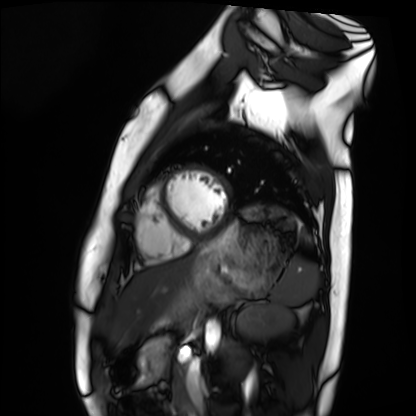
modality: cardiac MRI; subject group: healthy volunteer.